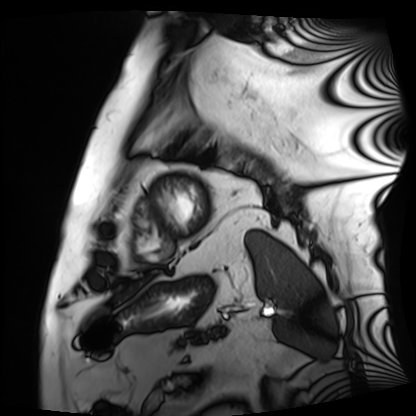
Case summary:
Cardiac MRI. Subject group: patient.